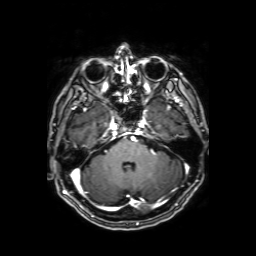
Q: What kind of scan is this?
A: 3 Tesla brain MRI.
Q: Series?
A: Axial T1-weighted fusion image.
Study: ring-enhancing brain masses.